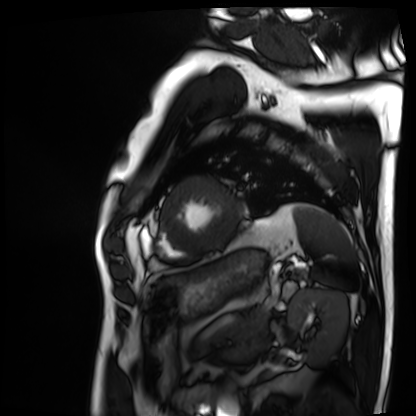
Cardiac MRI. Subject group: patient.